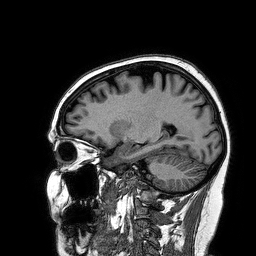
modality = 3 Tesla brain MRI; study = ring-enhancing brain masses.